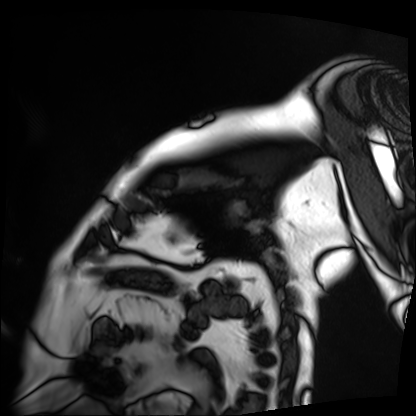
Clinical context:
Cardiac MRI. Subject group: patient.